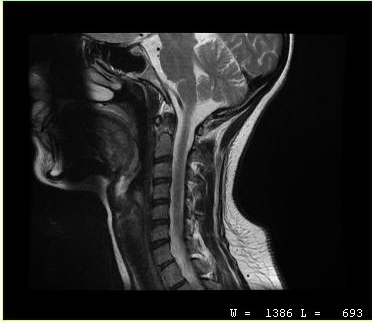
MRI of the cervical spine.
Study: cervical spondylosis.